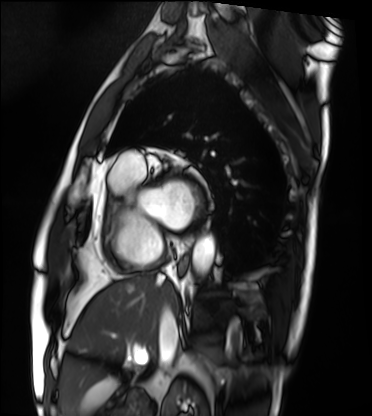
{
  "modality": "cardiac MRI",
  "cohort": "patient"
}